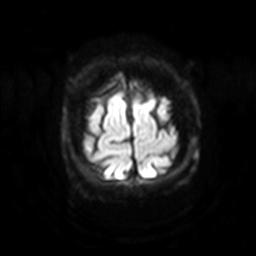
3 Tesla brain MRI.
Series: diffusion-weighted imaging with SENSE (WIP).
Study: ring-enhancing brain masses.